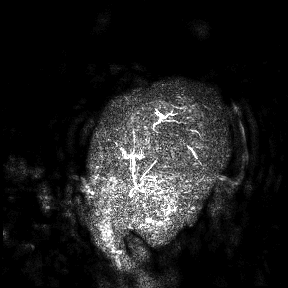
3 Tesla brain MRI.
Study: ring-enhancing brain masses.